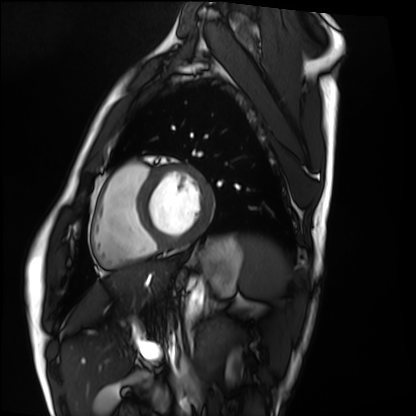
Summary:
Cardiac MRI. Subject group: healthy volunteer.